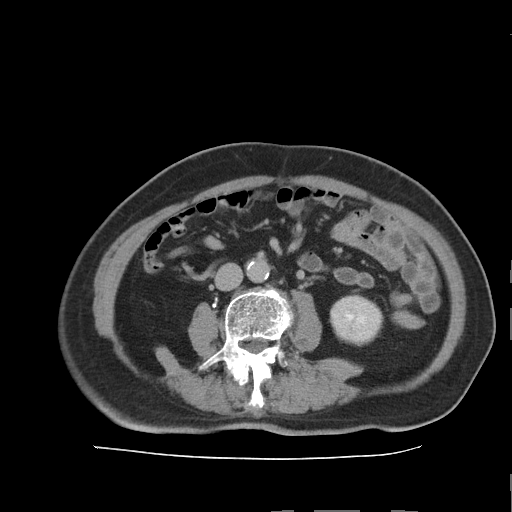
- modality · multiphase abdominal CT, liver, delayed phase
- patient · male, age 73